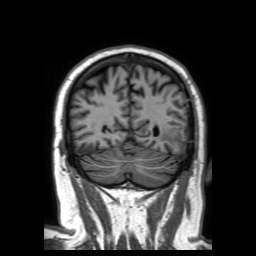
3 Tesla brain MRI.
Series: 3D T1-weighted TFE with SENSE.
Study: ring-enhancing brain masses.